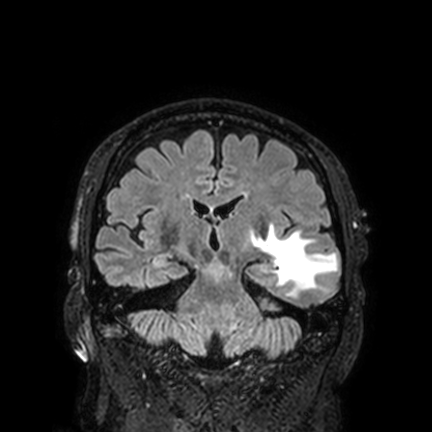
<scan>
  <modality>
    <type>brain MRI</type>
    <field_strength>3T</field_strength>
  </modality>
  <series>FLAIR VISTA with SENSE</series>
  <study_topic>ring-enhancing brain masses</study_topic>
</scan>